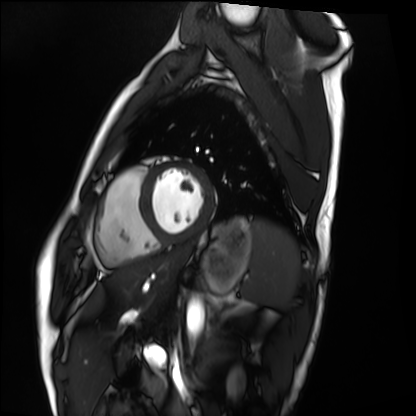
Cardiac MRI.
Subject group: healthy volunteer.